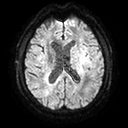
3 Tesla brain MRI. Series: diffusion tensor imaging (medium iso). Study: ring-enhancing brain masses.